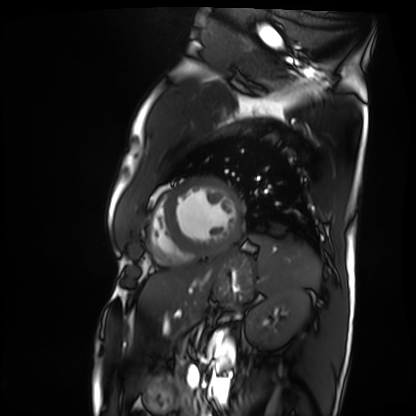
Cardiac MRI.
Subject group: patient.